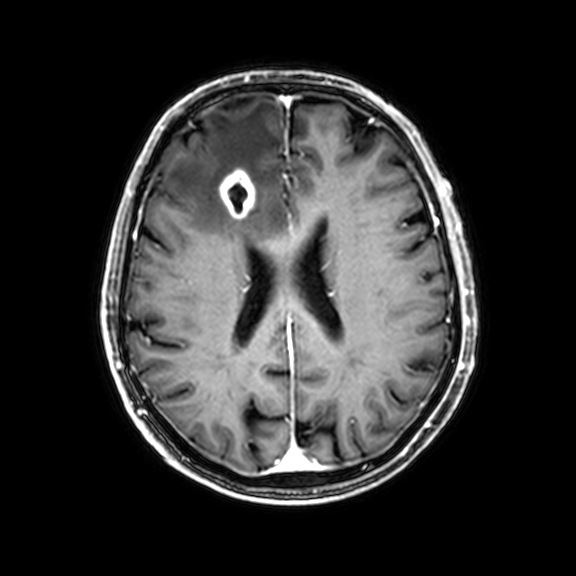
– modality — 3 Tesla brain MRI
– series — 3D T1-weighted with CLEAR
– study — ring-enhancing brain masses